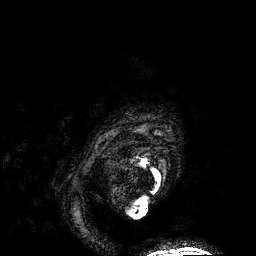
3 Tesla brain MRI. Series: 3D T1-weighted. Study: ring-enhancing brain masses.